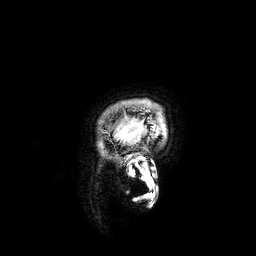
3 Tesla brain MRI.
Series: 3D T1-weighted.
Study: ring-enhancing brain masses.